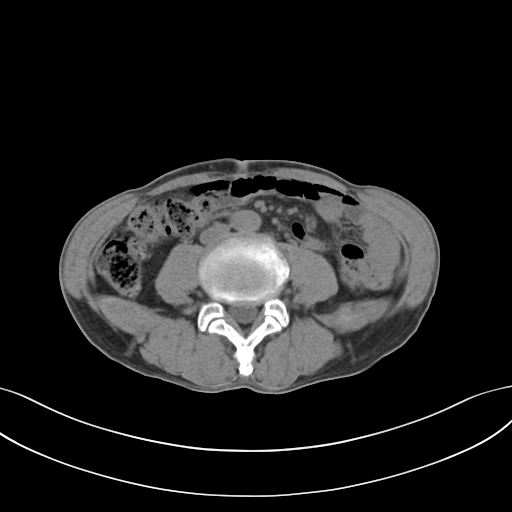
Q: What kind of scan is this?
A: Multiphase abdominal CT, liver, non-contrast phase.
Q: Patient?
A: Male, age 65.